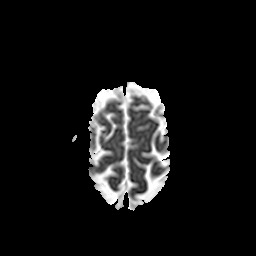
  modality:
    type: brain MRI
    field_strength: 3T
  series: apparent diffusion coefficient (ADC) map
  study_topic: ring-enhancing brain masses